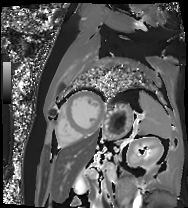
* modality · cardiac MR image of the myocardium
* subject cohort · cardiac patient